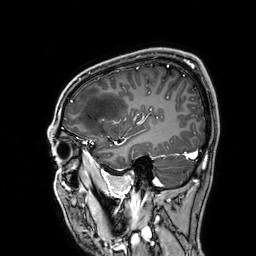
3 Tesla brain MRI.
Series: 3D T1-weighted.
Study: ring-enhancing brain masses.